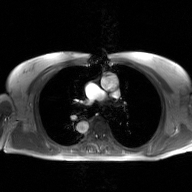
2D phase-contrast cine MRI of the ascending aorta, GAN super-resolution reconstruction.